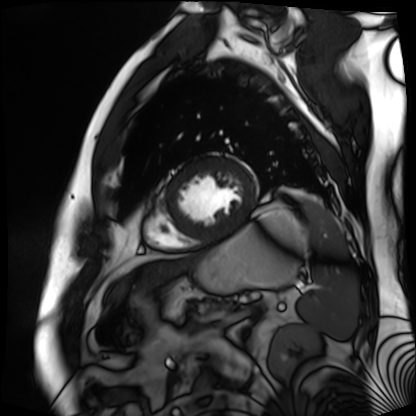
modality — cardiac MR image of the myocardium; subject cohort — cardiac patient.